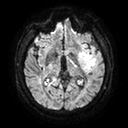
Q: What kind of scan is this?
A: 3 Tesla brain MRI.
Q: Series?
A: Diffusion tensor imaging (medium iso).
Study: ring-enhancing brain masses.